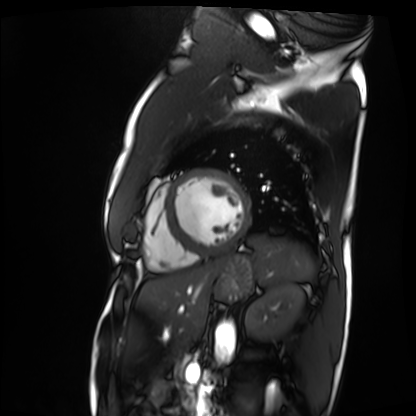
  modality: cardiac MRI
  cohort: patient